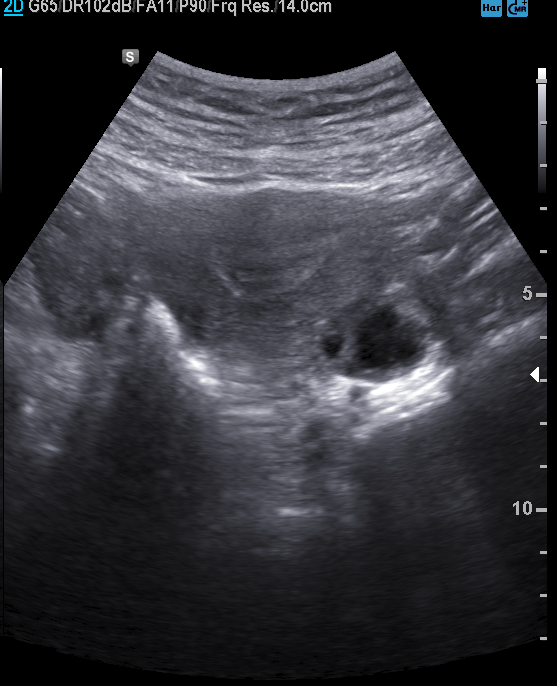
Summary: Genitourinary ultrasound.